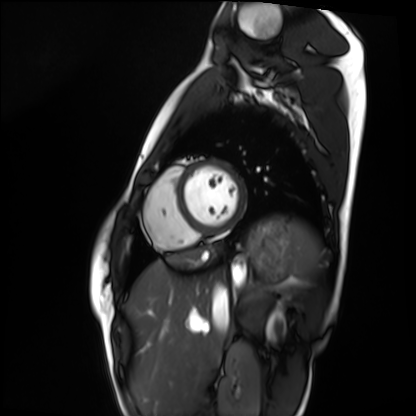
Summary: Cardiac MRI. Subject group: healthy volunteer.